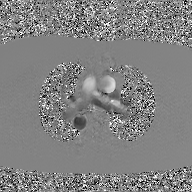
Q: What kind of scan is this?
A: 2D phase-contrast cine MRI of the ascending aorta, GAN super-resolution reconstruction.